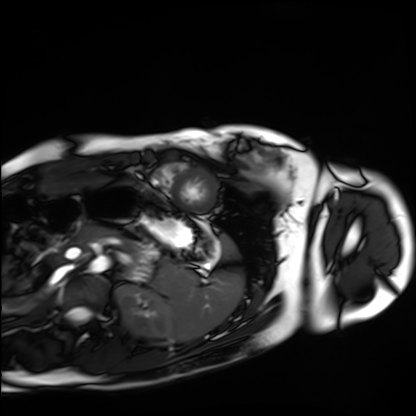
Cardiac MRI.
Subject group: healthy volunteer.